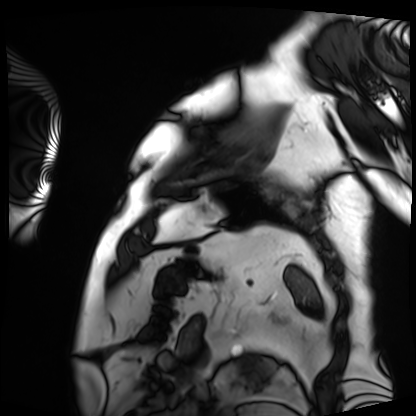
Cardiac MRI. Subject group: patient.